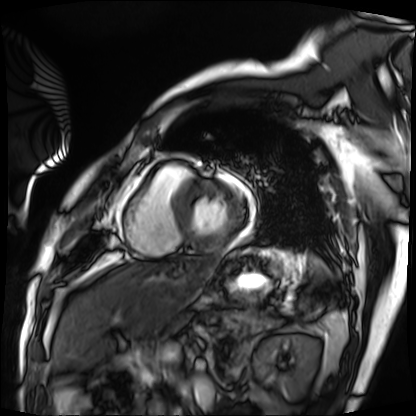
Cardiac MRI.
Subject group: patient.